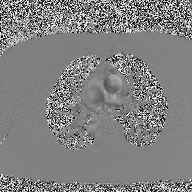
Case summary:
2D phase-contrast cine MRI of the ascending aorta, high-resolution GRAPPA acquisition.